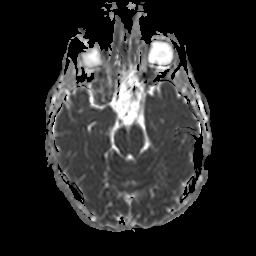
Summary: 3 Tesla brain MRI. Series: apparent diffusion coefficient (ADC) map. Study: ring-enhancing brain masses.